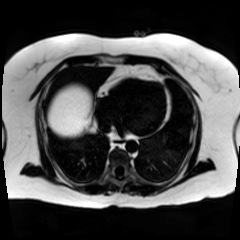
{"modality": "chemical-shift-encoded cardiac MRI"}